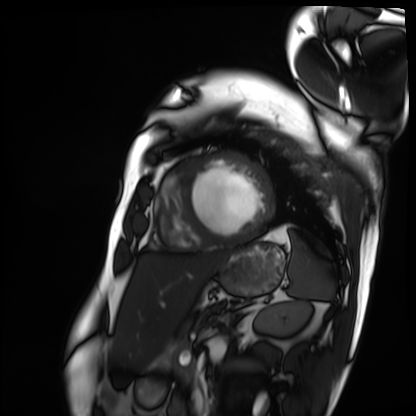
Q: What kind of scan is this?
A: Cardiac MRI.
Subject group: patient.